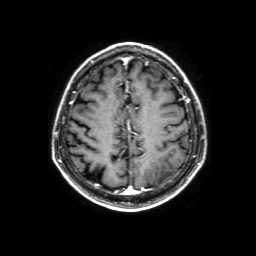
modality: 3 Tesla brain MRI
series: 3D T1-weighted with SENSE
study: ring-enhancing brain masses